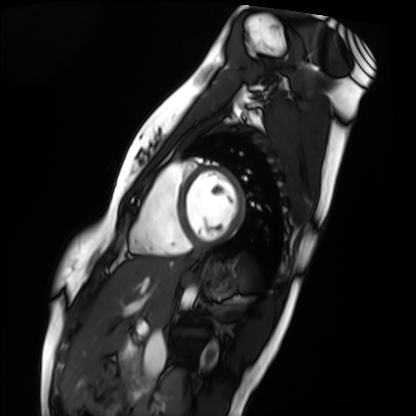
modality: cardiac MRI, subject group: healthy volunteer.